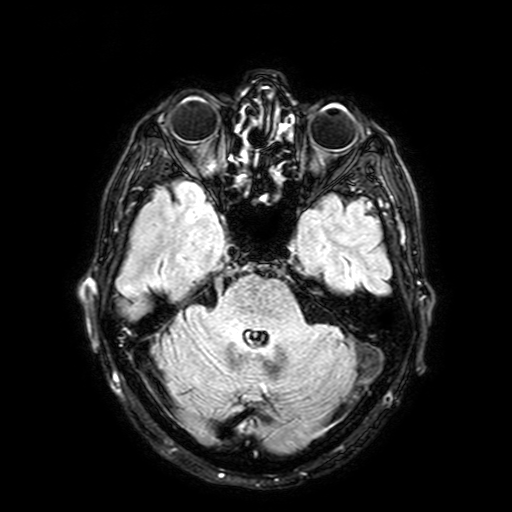
Q: What kind of scan is this?
A: 3 Tesla brain MRI.
Q: Series?
A: FLAIR with SPAIR, 3 mm.
Study: ring-enhancing brain masses.